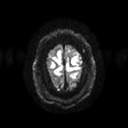
3 Tesla brain MRI.
Series: diffusion tensor imaging (medium iso).
Study: ring-enhancing brain masses.